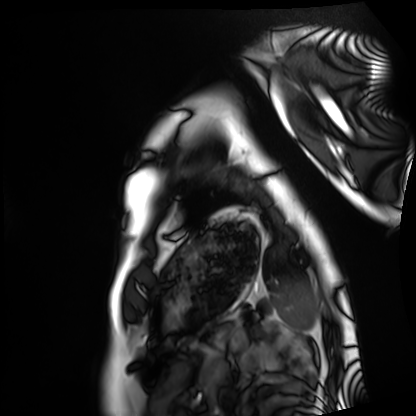
• modality · cardiac MRI
• subject group · healthy volunteer